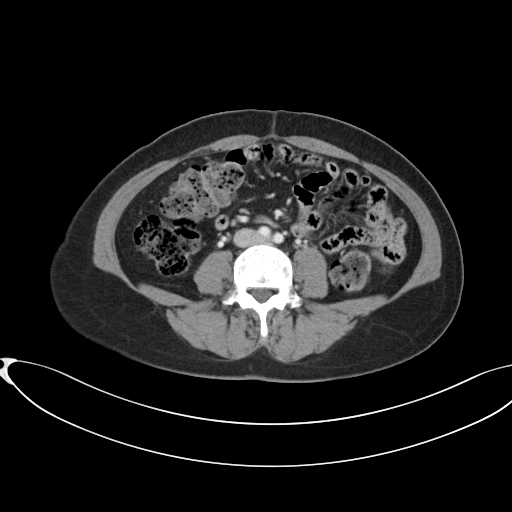
  modality:
    type: multiphase abdominal CT
    region: liver
    phase: portal venous
  patient:
    sex: female
    age: 38
  history:
    - prior chemotherapy